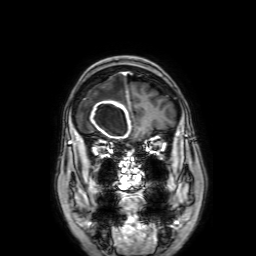
Summary: 3 Tesla brain MRI. Series: 3D T1-weighted with SENSE. Study: ring-enhancing brain masses.